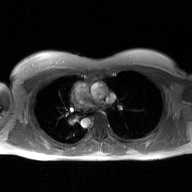
{"modality": {"type": "2D phase-contrast cine MRI", "region": "ascending aorta", "reconstruction": "GAN super-resolution reconstruction"}}